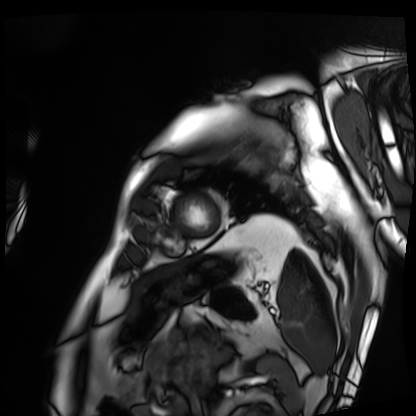
{
  "modality": "cardiac MRI",
  "cohort": "patient"
}